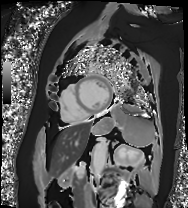
Cardiac MRI.
Subject group: patient.